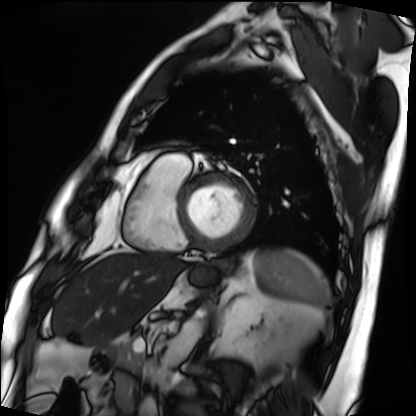
Cardiac MRI.
Subject group: patient.